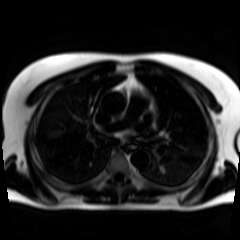
Chemical-shift-encoded cardiac MRI.